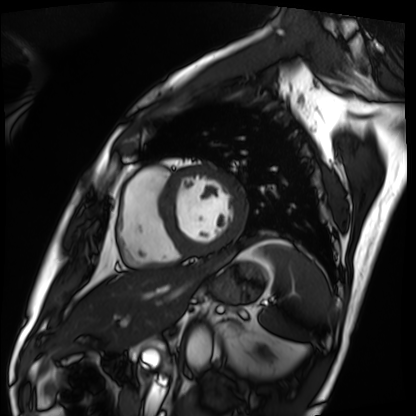
modality = cardiac MRI | subject group = patient.